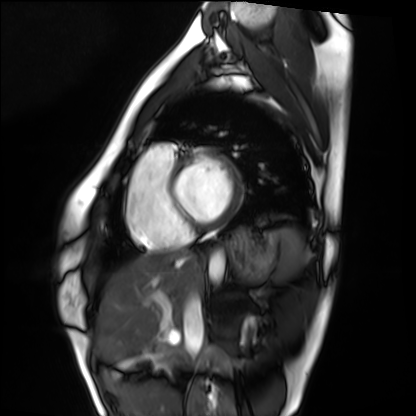
- modality: cardiac MRI
- subject group: healthy volunteer